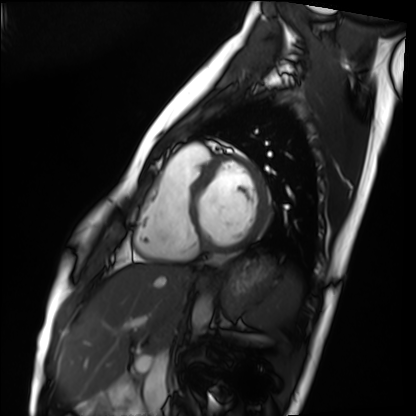
Case:
* modality — cardiac MRI
* subject group — healthy volunteer